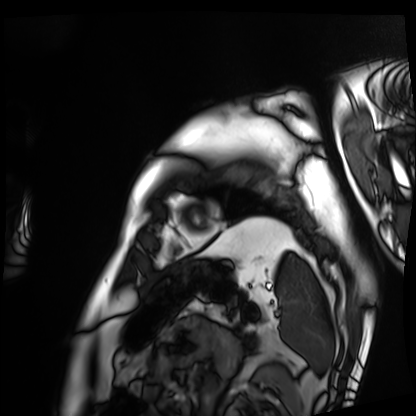
Summary:
Cardiac MRI. Subject group: patient.